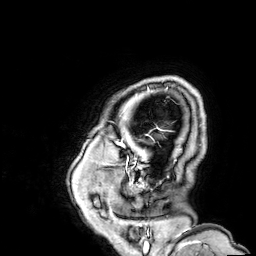
modality: 3 Tesla brain MRI | series: 3D T1-weighted | study: ring-enhancing brain masses.